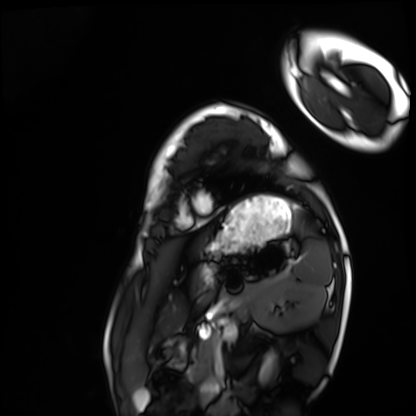
Cardiac MRI. Subject group: healthy volunteer.